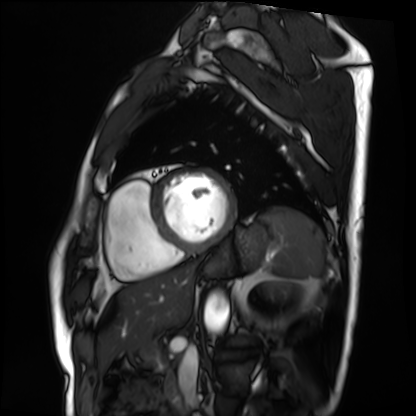
modality: cardiac MRI
subject group: patient